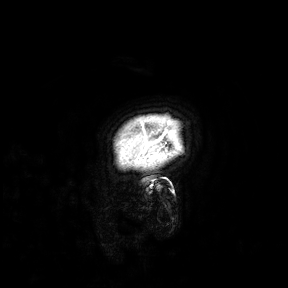
Summary: 3 Tesla brain MRI. Study: ring-enhancing brain masses.